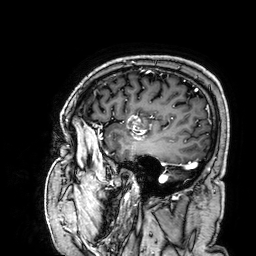
Summary:
3 Tesla brain MRI. Series: 3D T1-weighted. Study: ring-enhancing brain masses.